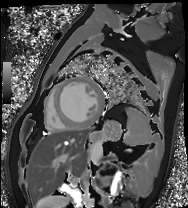
• modality: cardiac MRI
• subject group: patient